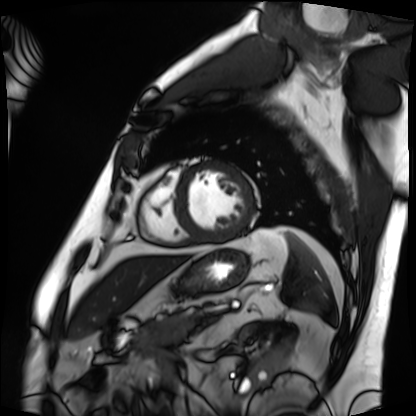
modality=cardiac MRI
subject group=patient